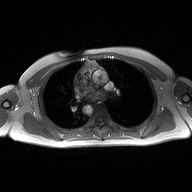
modality:
  type: 2D phase-contrast cine MRI
  region: ascending aorta
  reconstruction: high-resolution GRAPPA acquisition